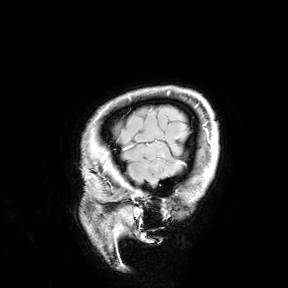
Q: What kind of scan is this?
A: 3 Tesla brain MRI.
Study: ring-enhancing brain masses.